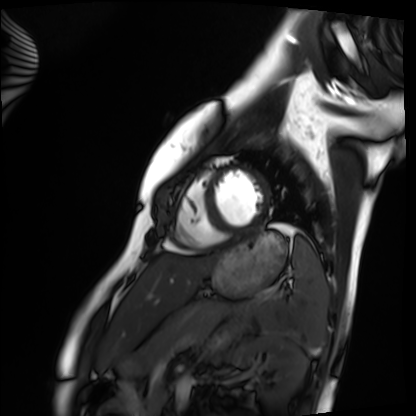
Clinical context:
Cardiac MRI. Subject group: healthy volunteer.